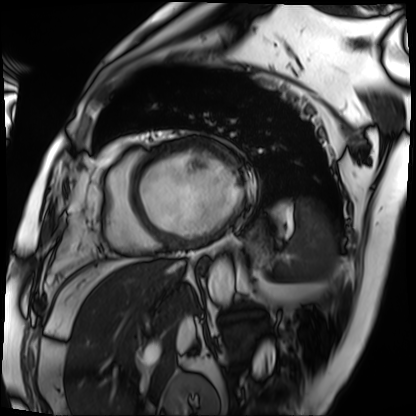
| field | value |
|---|---|
| modality | cardiac MRI |
| subject group | patient |